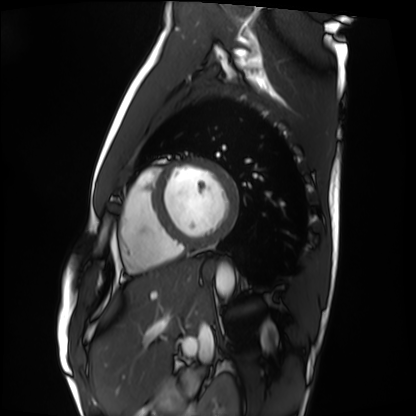
Q: What kind of scan is this?
A: Cardiac MRI.
Subject group: healthy volunteer.